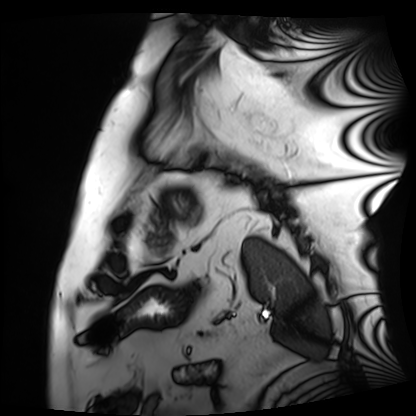
Clinical context:
Cardiac MRI. Subject group: patient.